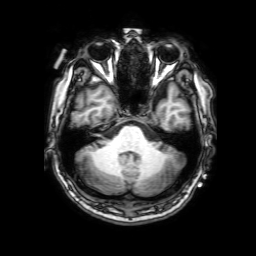
modality=3 Tesla brain MRI
series=3D T1-weighted with SENSE
study=ring-enhancing brain masses